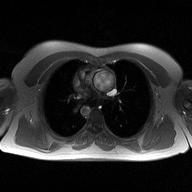
Summary:
2D phase-contrast cine MRI of the ascending aorta, high-resolution GRAPPA acquisition.